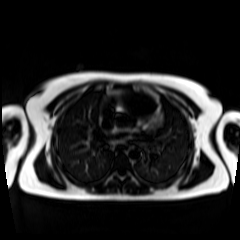
<study>
<modality>chemical-shift-encoded cardiac MRI</modality>
</study>